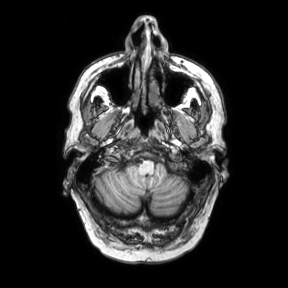
Q: What kind of scan is this?
A: 3 Tesla brain MRI.
Q: Series?
A: Axial.
Study: ring-enhancing brain masses.